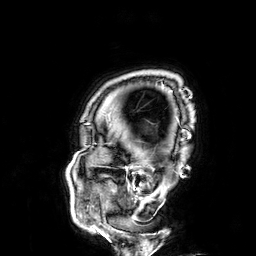
3 Tesla brain MRI. Series: 3D T1-weighted. Study: ring-enhancing brain masses.